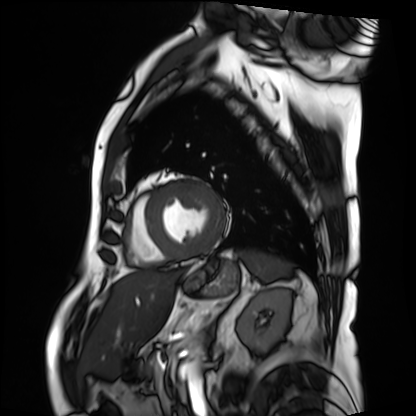
Summary: Cardiac MRI. Subject group: patient.